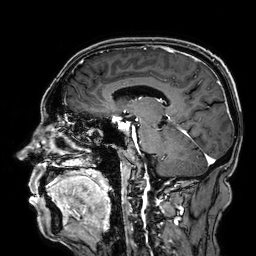
3 Tesla brain MRI. Series: 3D T1-weighted. Study: ring-enhancing brain masses.